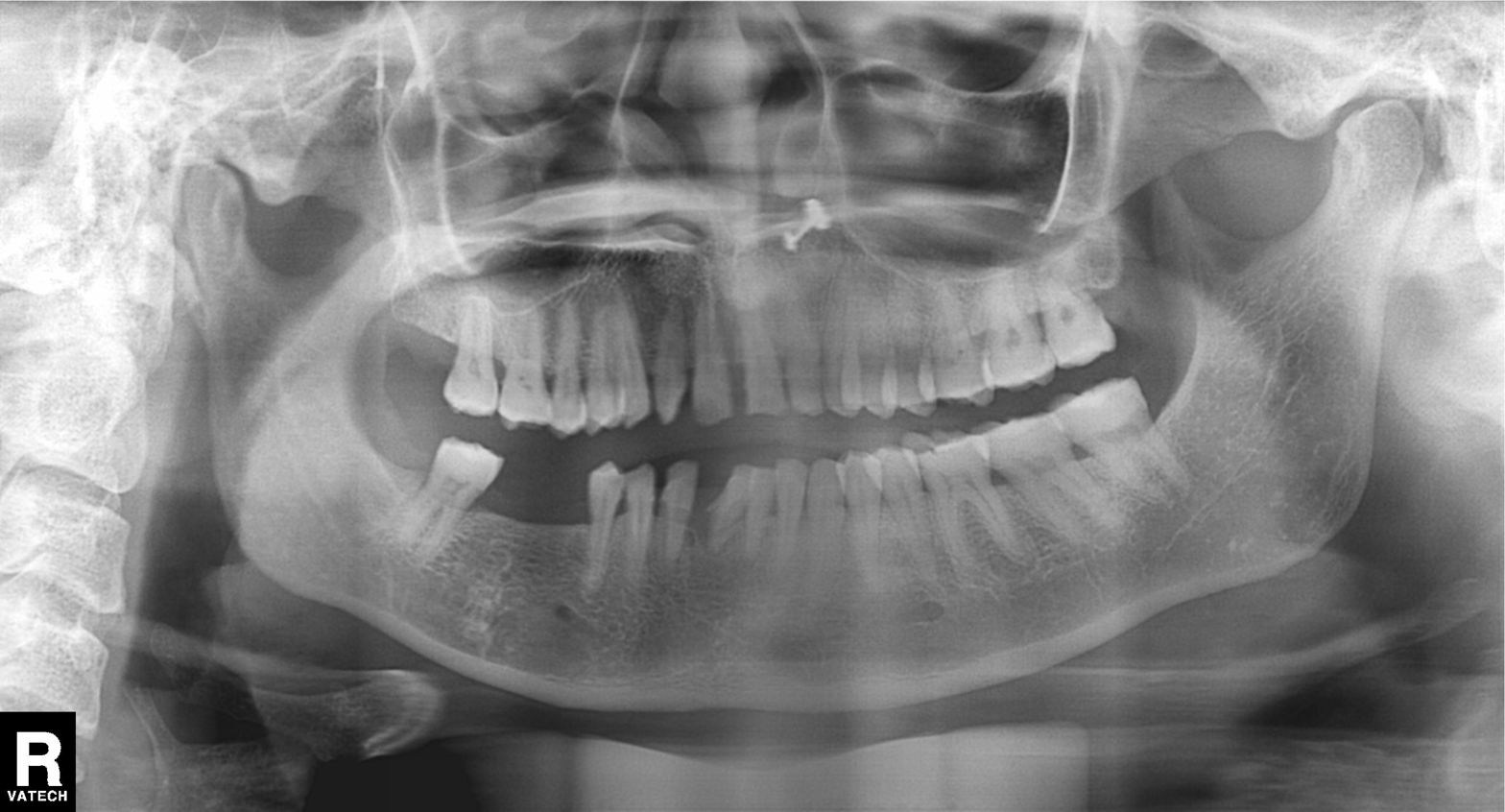
modality: panoramic dental radiograph (orthopantomogram)
finding: alveolar bone loss